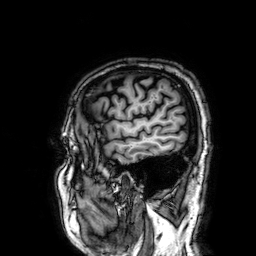
modality — 3 Tesla brain MRI
series — 3D T1-weighted
study — ring-enhancing brain masses